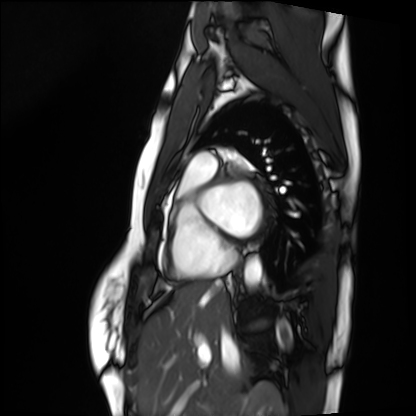
{
  "modality": "cardiac MRI",
  "cohort": "healthy volunteer"
}